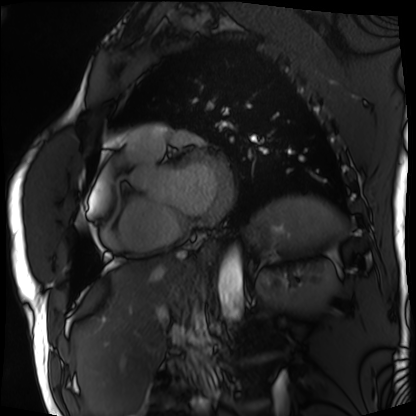
modality: cardiac MRI
cohort: patient